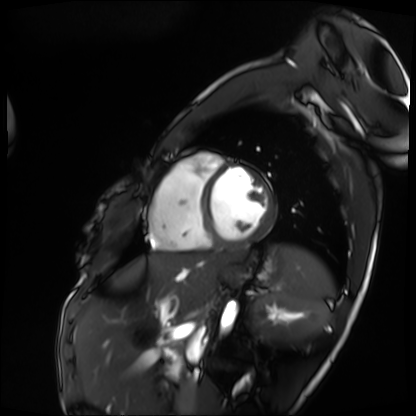
<scan>
  <modality>cardiac MRI</modality>
  <cohort>patient</cohort>
</scan>